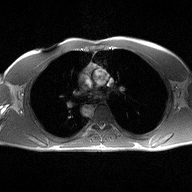
- modality: 2D phase-contrast cine MRI of the ascending aorta